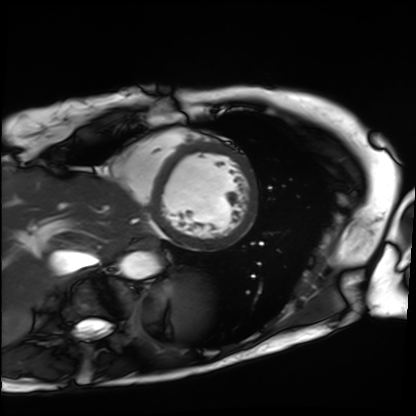
<record>
<modality>cardiac MRI</modality>
<cohort>patient</cohort>
</record>